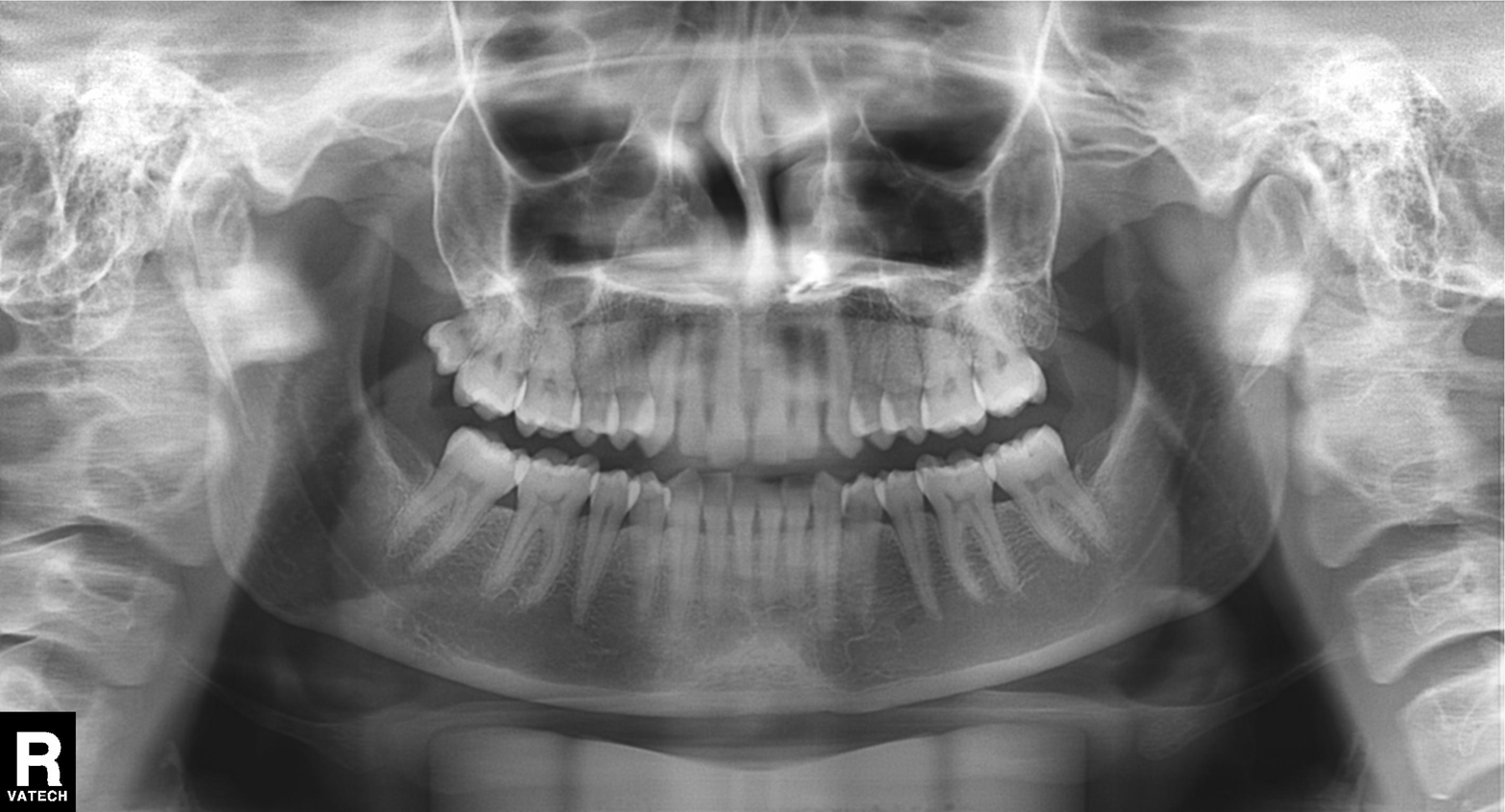
modality: panoramic dental radiograph (orthopantomogram); finding: alveolar bone loss.